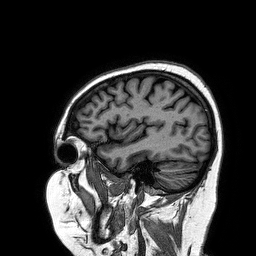
| field | value |
|---|---|
| modality | 3 Tesla brain MRI |
| series | 3D T1-weighted turbo field echo |
| study | ring-enhancing brain masses |